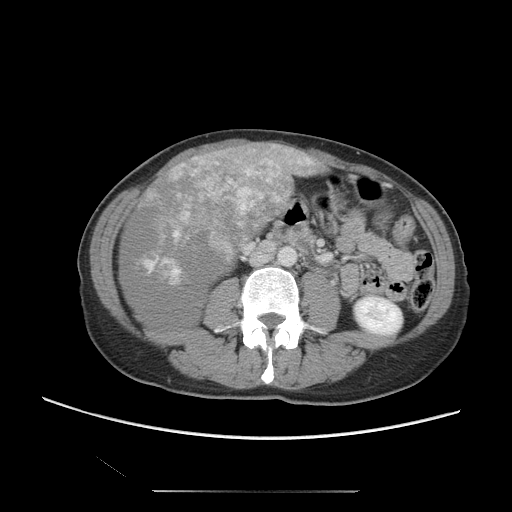
Case summary: Multiphase abdominal CT, liver, portal venous phase. Patient: female, age 47.